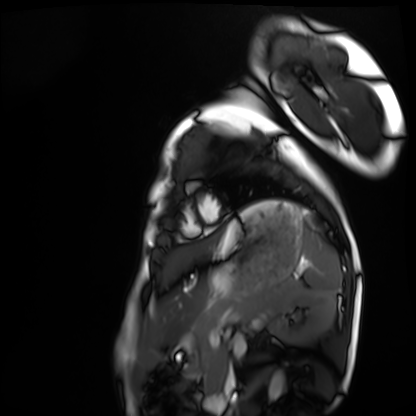
Cardiac MRI. Subject group: healthy volunteer.